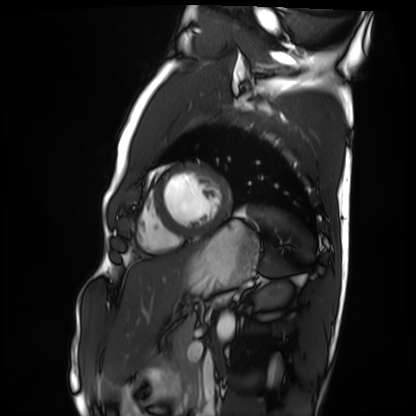
Summary: Cardiac MRI. Subject group: healthy volunteer.